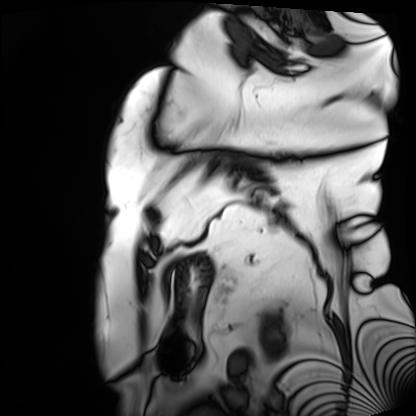
modality: cardiac MRI; subject group: patient.